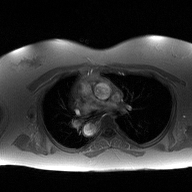
Case:
* modality: 2D phase-contrast cine MRI of the ascending aorta